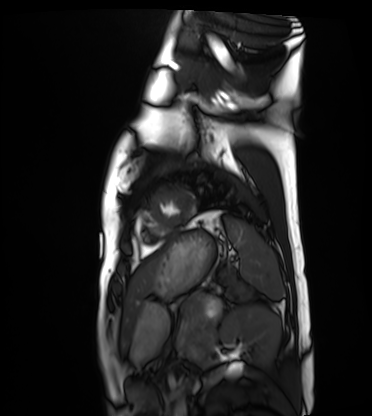
Cardiac MRI.
Subject group: healthy volunteer.